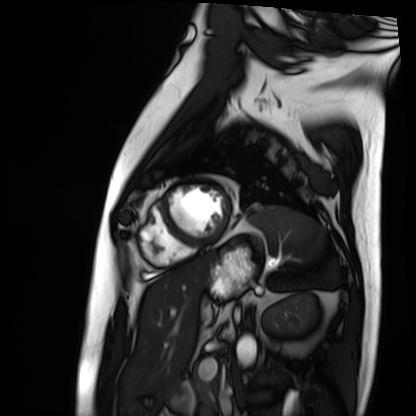
modality: cardiac MRI
cohort: patient